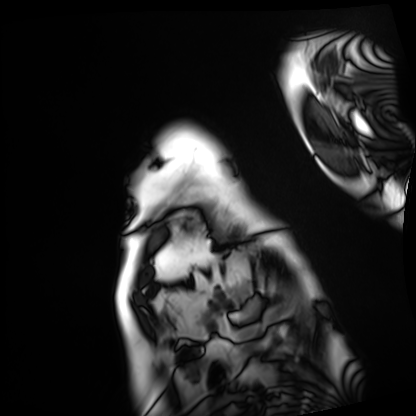
Case summary: Cardiac MRI. Subject group: patient.